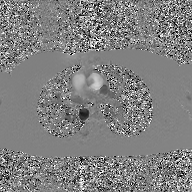
Summary:
2D phase-contrast cine MRI of the ascending aorta, GAN super-resolution reconstruction.